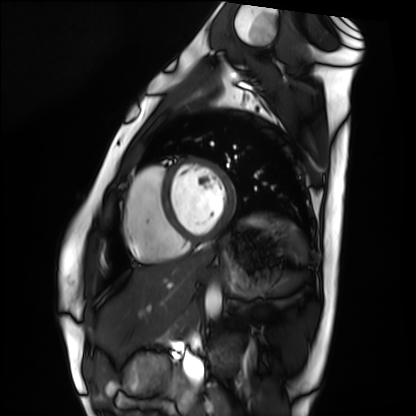
Cardiac MRI. Subject group: healthy volunteer.